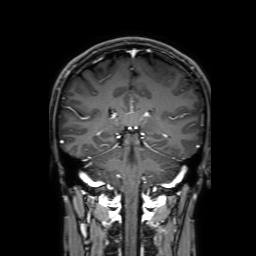
Case:
– modality — 3 Tesla brain MRI
– series — 3D T1-weighted with SENSE
– study — ring-enhancing brain masses